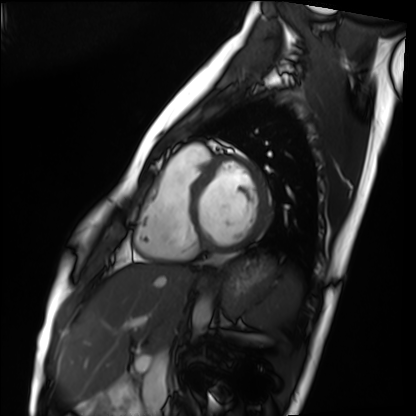
Q: What kind of scan is this?
A: Cardiac MRI.
Subject group: healthy volunteer.